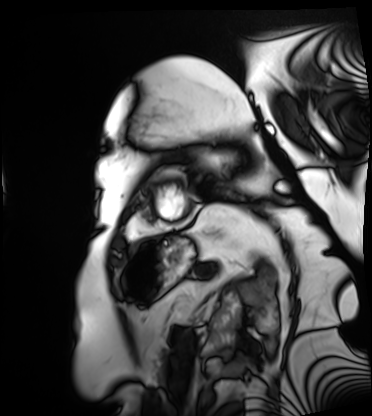
Clinical context: Cardiac MRI. Subject group: patient.